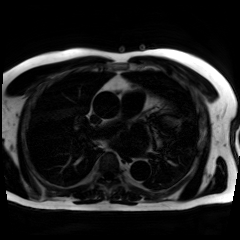
Case summary: Chemical-shift-encoded cardiac MRI.